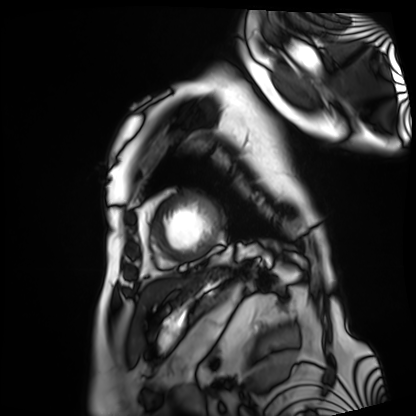
modality = cardiac MRI | subject group = patient.